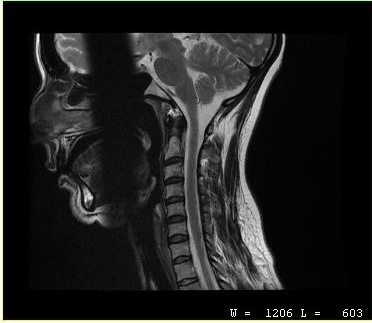
MRI of the cervical spine.
Study: cervical spondylosis.